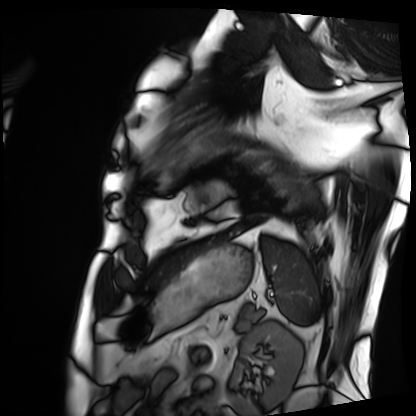
Clinical context: Cardiac MRI. Subject group: patient.